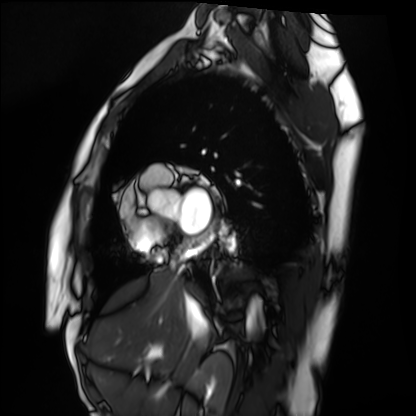
Cardiac MRI. Subject group: healthy volunteer.